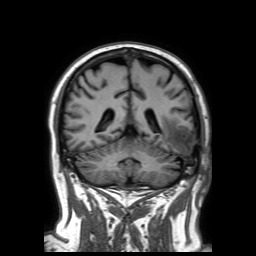
Case summary: 3 Tesla brain MRI. Series: 3D T1-weighted TFE with SENSE. Study: ring-enhancing brain masses.